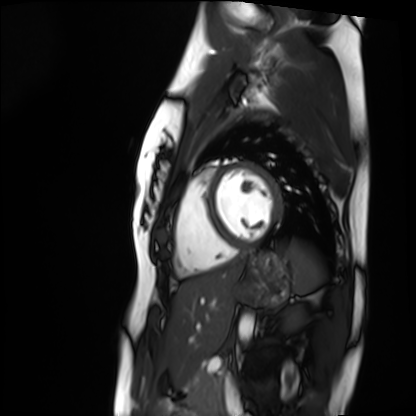
Summary: Cardiac MRI. Subject group: healthy volunteer.